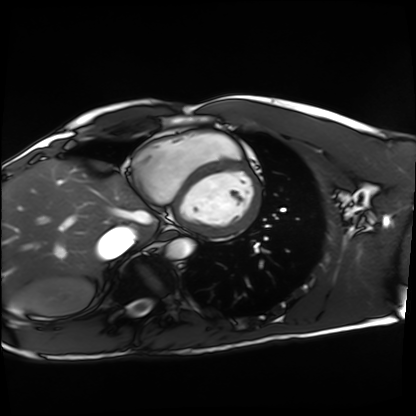
Q: What kind of scan is this?
A: Cardiac MRI.
Subject group: healthy volunteer.